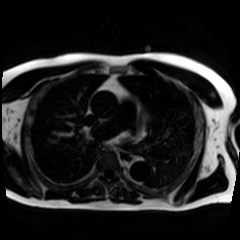
Q: What kind of scan is this?
A: Chemical-shift-encoded cardiac MRI.